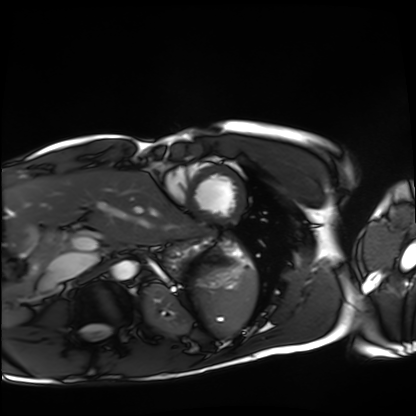
Cardiac MRI.
Subject group: healthy volunteer.